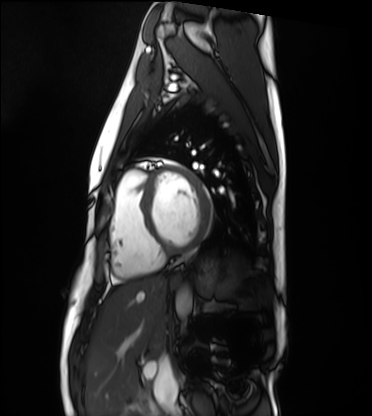
modality = cardiac MRI
subject group = healthy volunteer